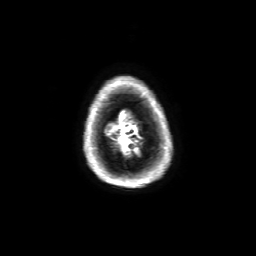
3 Tesla brain MRI.
Series: 3D T1-weighted with SENSE.
Study: ring-enhancing brain masses.